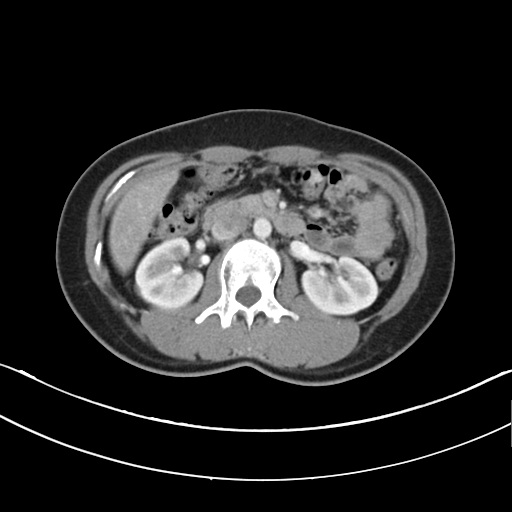
| field | value |
|---|---|
| modality | multiphase abdominal CT, liver, arterial phase |
| patient | female, age 29 |